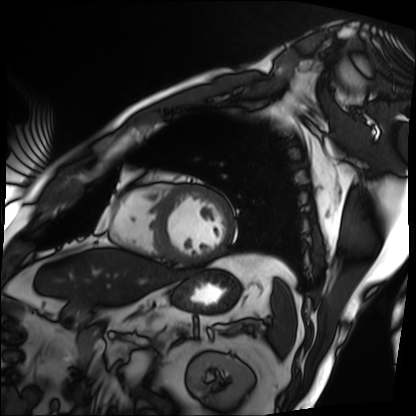
Q: What kind of scan is this?
A: Cardiac MRI.
Subject group: patient.